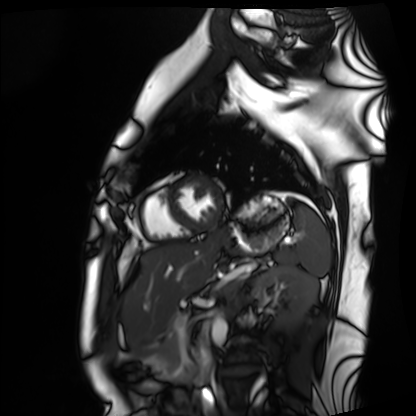
Cardiac MRI. Subject group: healthy volunteer.